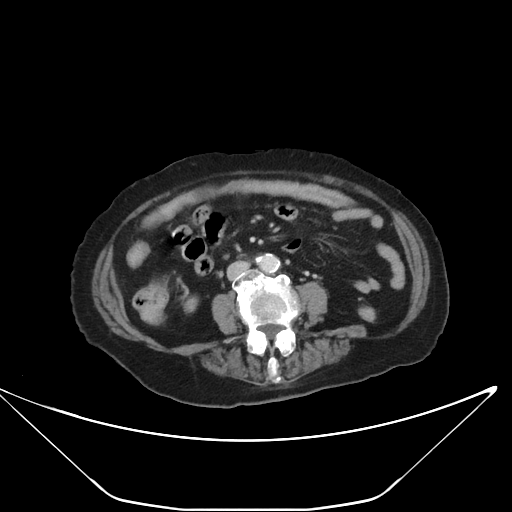
Multiphase abdominal CT, liver, portal venous phase.
Patient: female, age 86.